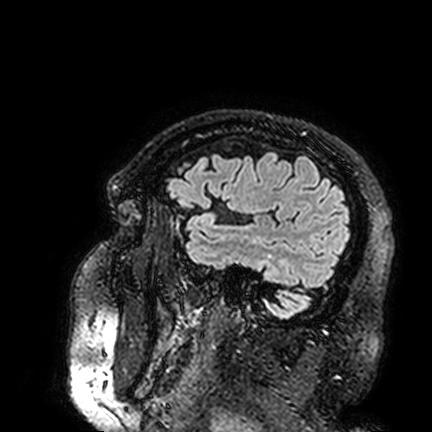
Case summary: 3 Tesla brain MRI. Series: FLAIR VISTA. Study: ring-enhancing brain masses.